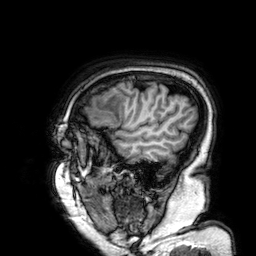
| field | value |
|---|---|
| modality | 3 Tesla brain MRI |
| series | 3D T1-weighted |
| study | ring-enhancing brain masses |